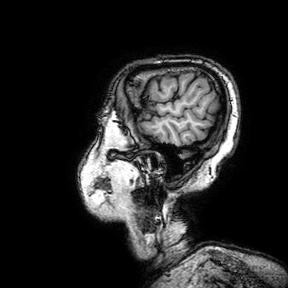
3 Tesla brain MRI.
Series: 3D T1-weighted turbo field echo with SENSE.
Study: ring-enhancing brain masses.